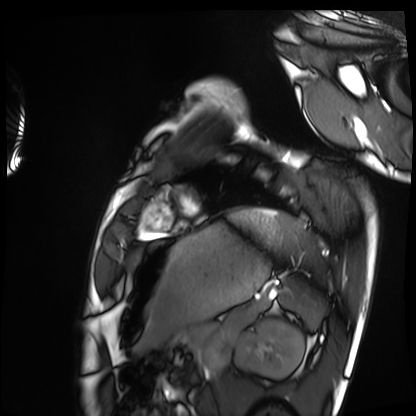
modality: cardiac MRI
cohort: healthy volunteer